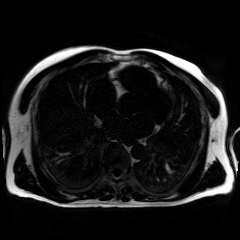
Chemical-shift-encoded cardiac MRI.